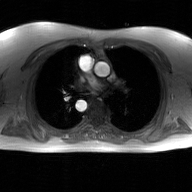
Case summary: 2D phase-contrast cine MRI of the ascending aorta, GAN super-resolution reconstruction.